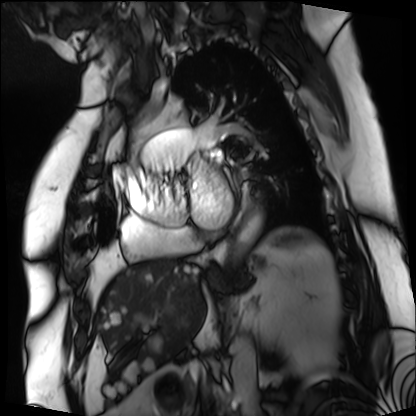
Cardiac MRI. Subject group: patient.